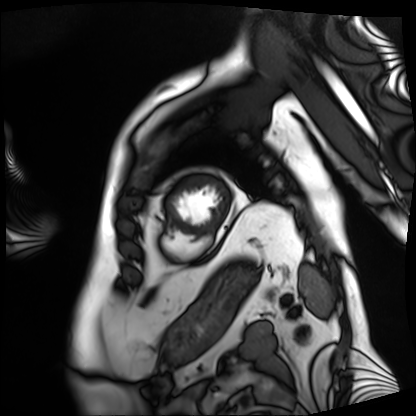
Case:
- modality · cardiac MRI
- subject group · patient